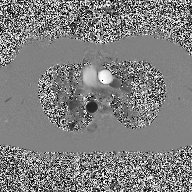
<study>
  <modality>
    <type>2D phase-contrast cine MRI</type>
    <region>ascending aorta</region>
    <reconstruction>high-resolution GRAPPA acquisition</reconstruction>
  </modality>
</study>